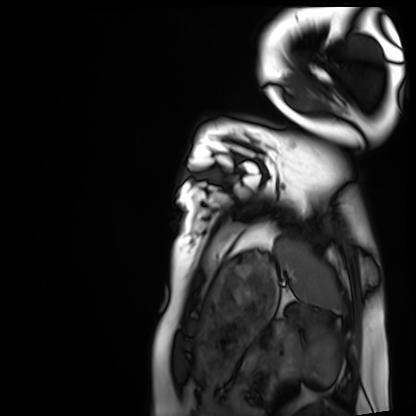
Case summary:
Cardiac MRI. Subject group: healthy volunteer.